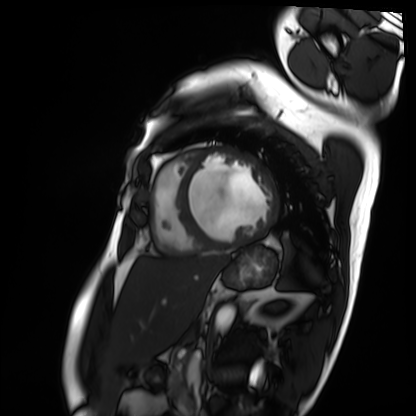
Cardiac MRI.
Subject group: patient.